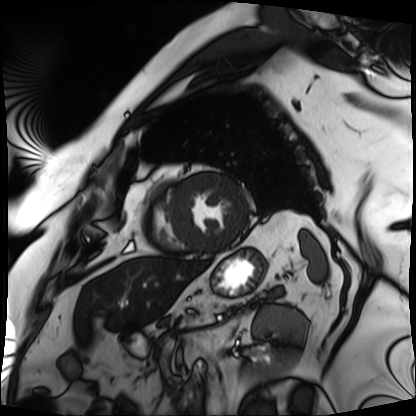
Q: What kind of scan is this?
A: Cardiac MRI.
Subject group: patient.